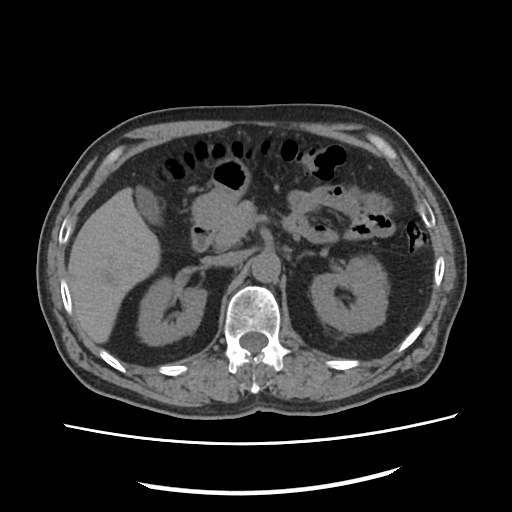
modality: multiphase abdominal CT, liver, non-contrast phase.